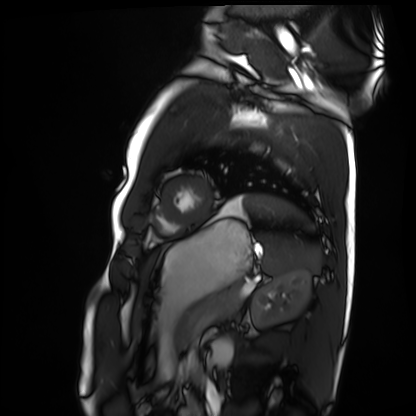
modality: cardiac MRI | subject group: healthy volunteer.